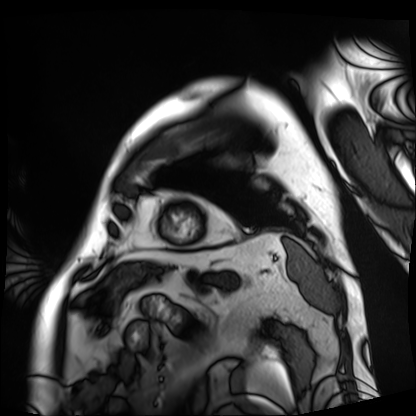
modality: cardiac MRI; subject group: patient.